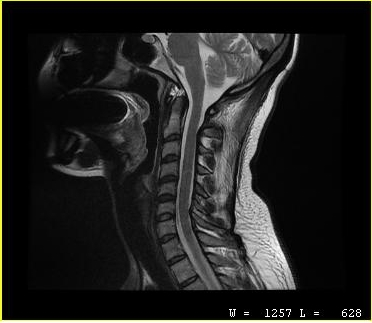
Summary:
MRI of the cervical spine. Study: cervical spondylosis.